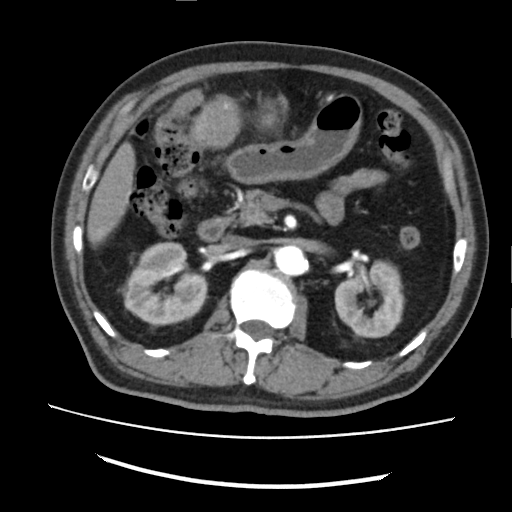
modality: multiphase abdominal CT, liver, arterial phase; patient: male, age 72.